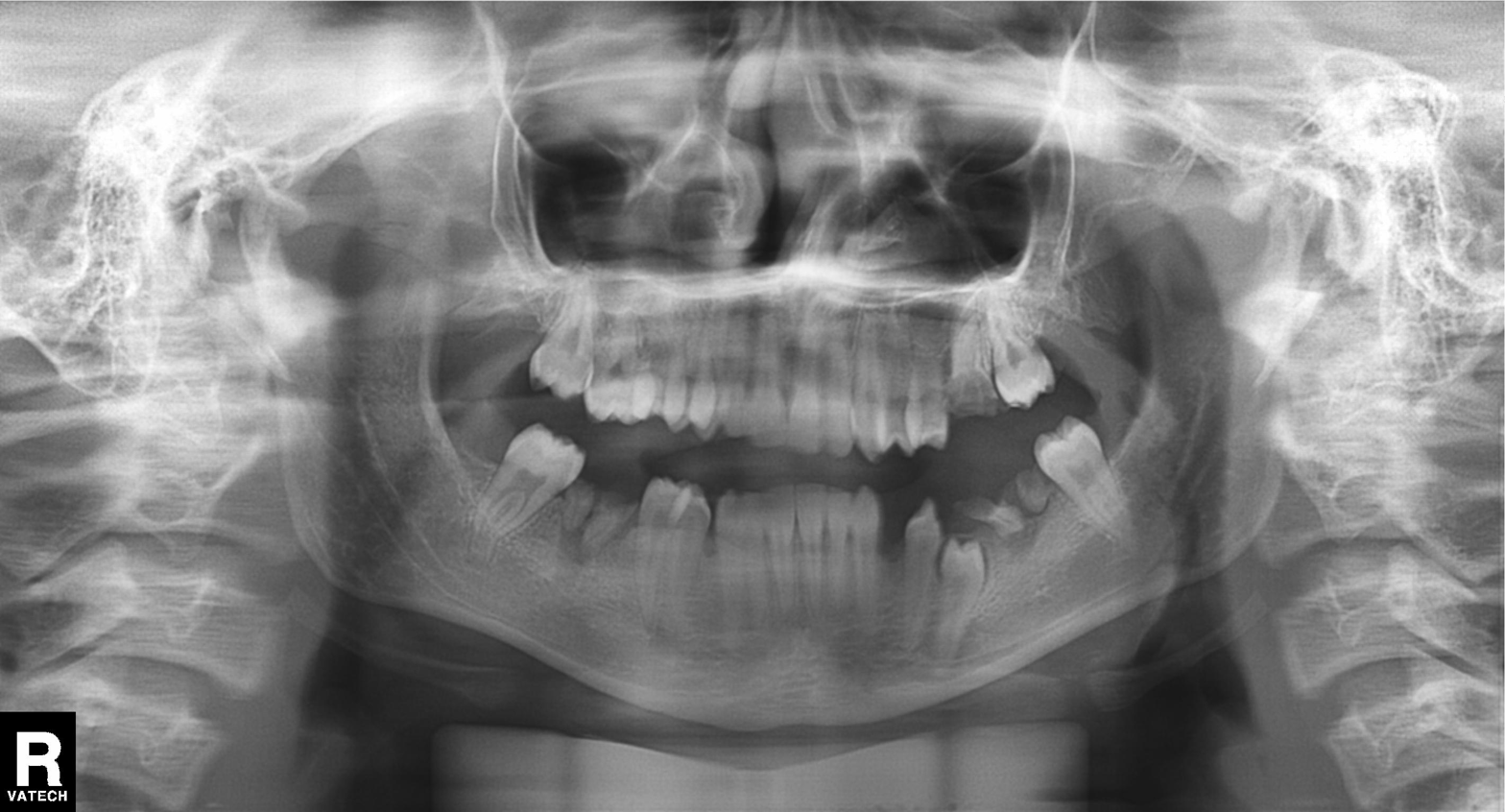
Panoramic dental radiograph (orthopantomogram). Finding: tooth impaction.